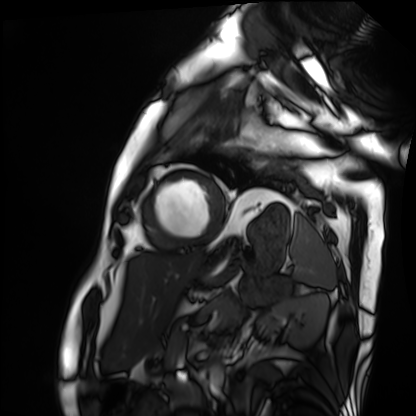
Cardiac MRI. Subject group: patient.